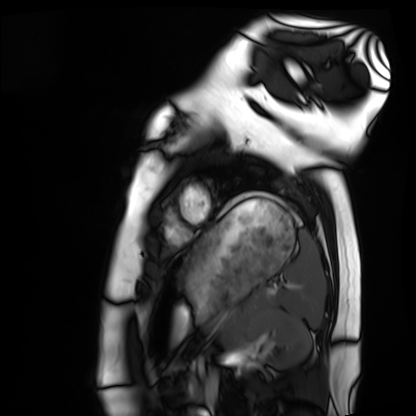
- modality — cardiac MRI
- subject group — healthy volunteer